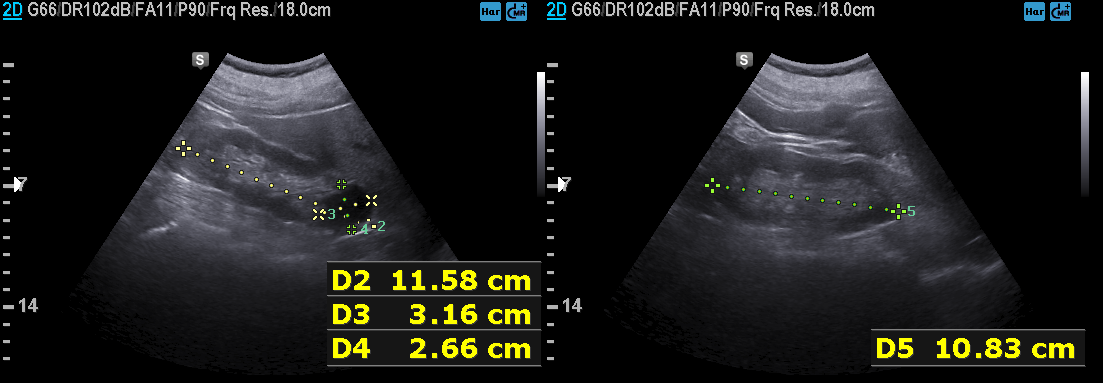
Clinical context:
Genitourinary ultrasound.